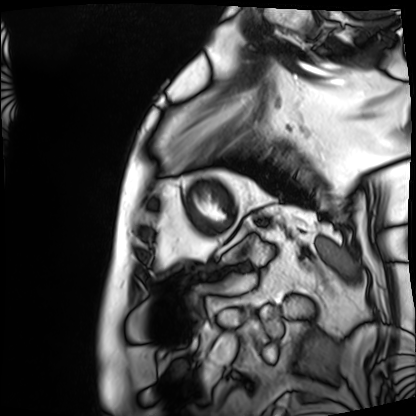
Clinical context: Cardiac MRI. Subject group: patient.